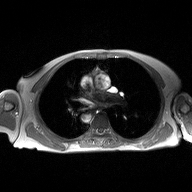
modality: 2D phase-contrast cine MRI of the ascending aorta.